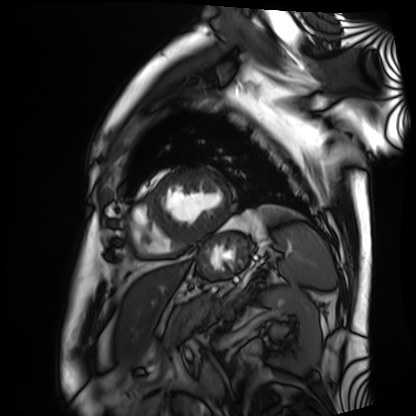
| field | value |
|---|---|
| modality | cardiac MRI |
| subject group | patient |